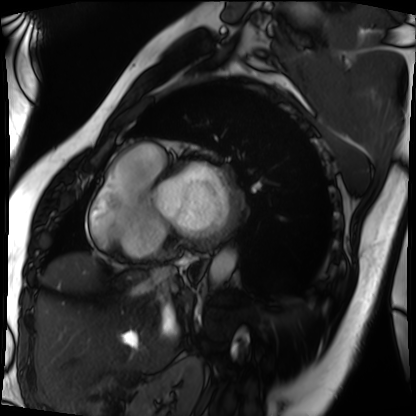
modality: cardiac MRI, subject group: patient.